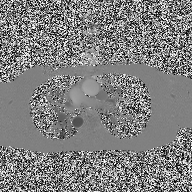
Case summary:
2D phase-contrast cine MRI of the ascending aorta, high-resolution GRAPPA acquisition.